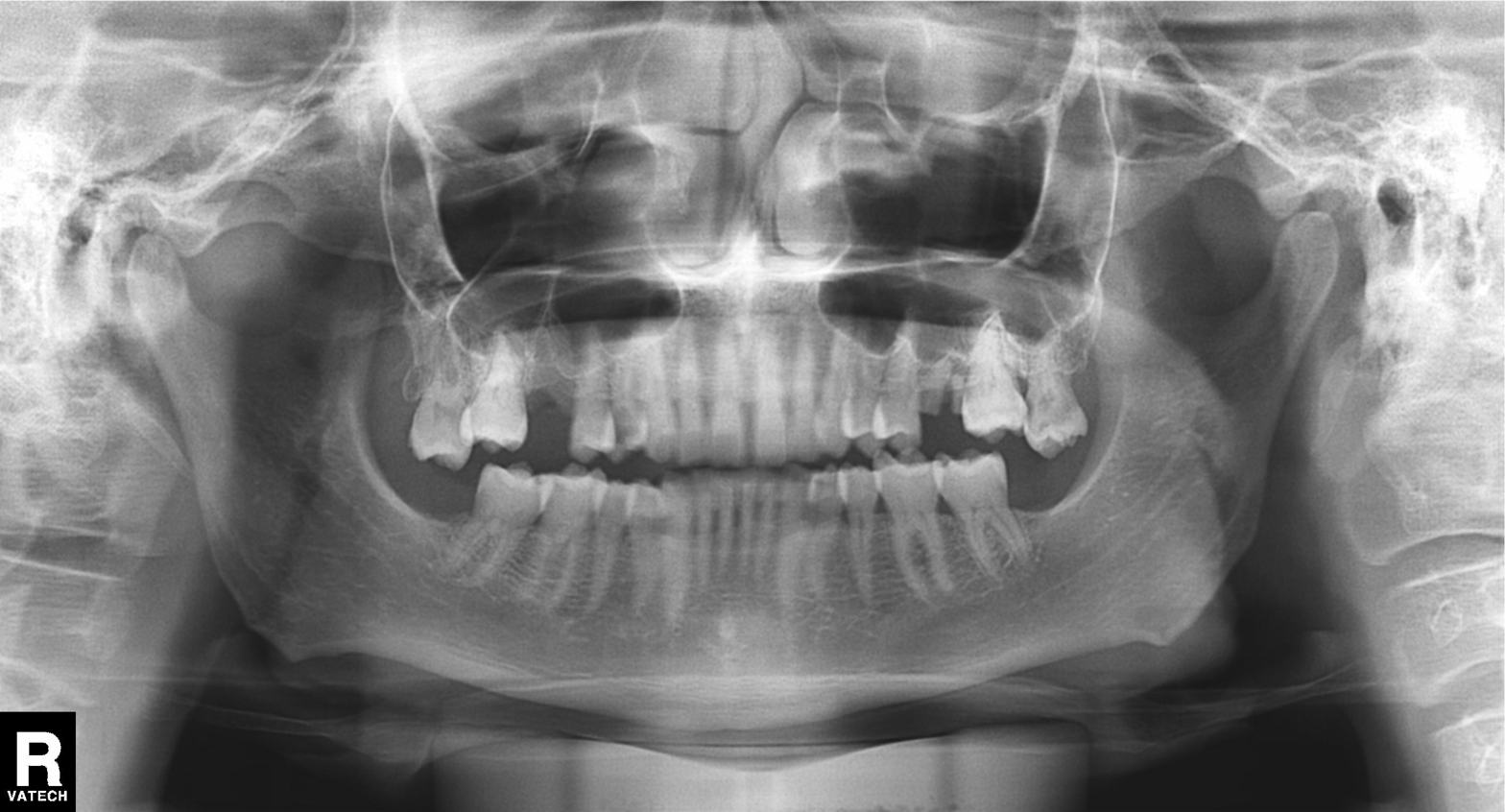
| field | value |
|---|---|
| modality | panoramic dental radiograph (orthopantomogram) |
| finding | alveolar bone loss |